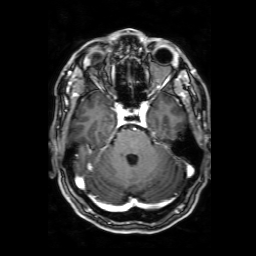
3 Tesla brain MRI.
Series: 3D T1-weighted with SENSE.
Study: ring-enhancing brain masses.